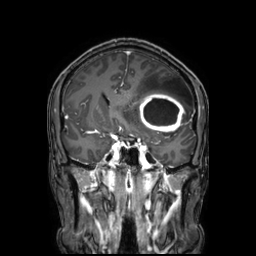
– modality: 3 Tesla brain MRI
– series: 3D T1-weighted TFE with SENSE
– study: ring-enhancing brain masses